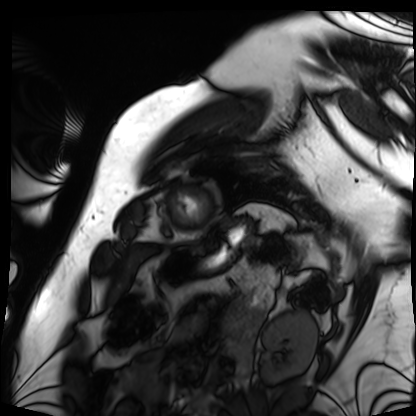
Cardiac MRI. Subject group: patient.